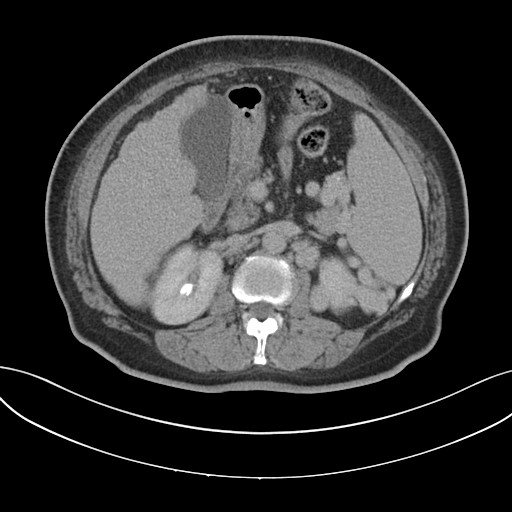
– modality: multiphase abdominal CT, liver, delayed phase
– patient: female, age 62
– history: cirrhosis